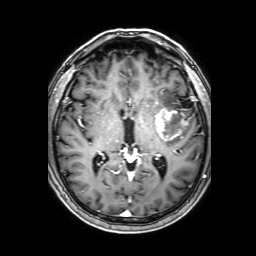
3 Tesla brain MRI. Series: 3D T1-weighted with SENSE. Study: ring-enhancing brain masses.